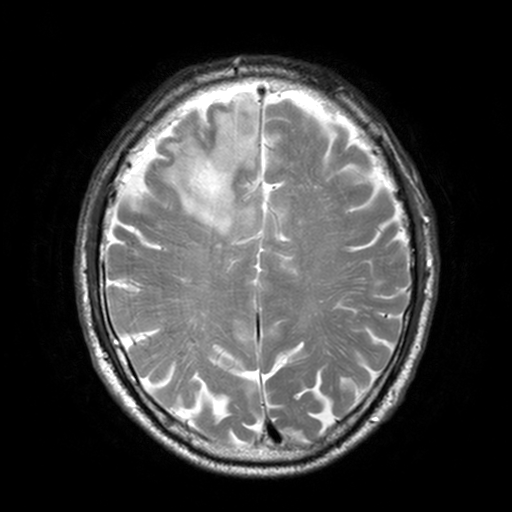
3 Tesla brain MRI. Series: T2-weighted turbo spin echo, 3 mm. Study: ring-enhancing brain masses.